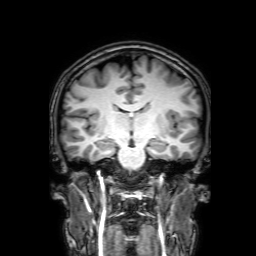
modality = 3 Tesla brain MRI; series = 3D T1-weighted with SENSE; study = ring-enhancing brain masses.